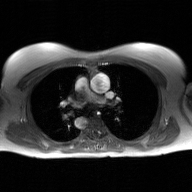
modality — 2D phase-contrast cine MRI of the ascending aorta, GAN super-resolution reconstruction.